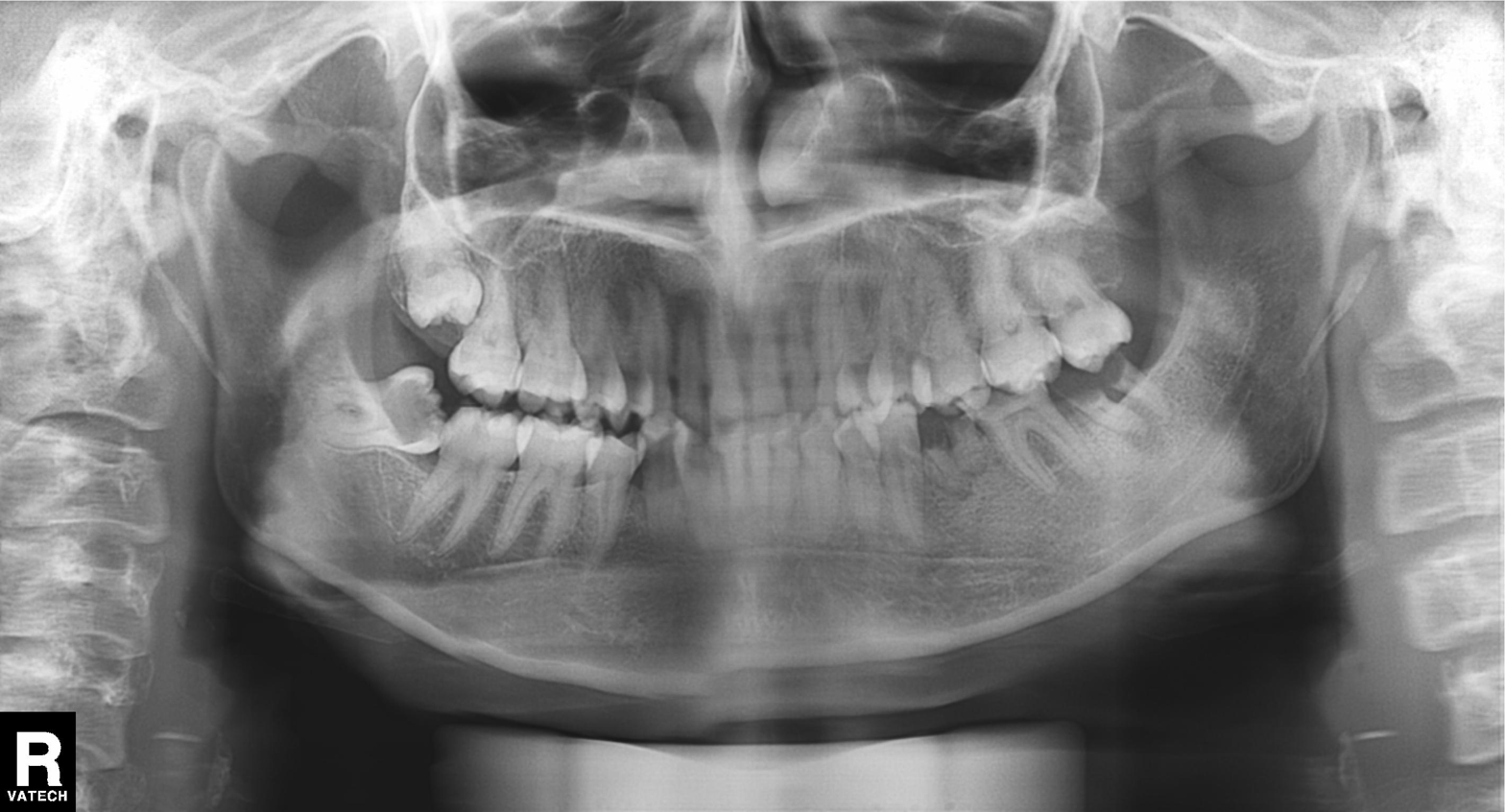
Panoramic dental radiograph (orthopantomogram). Finding: dental caries (cavities).